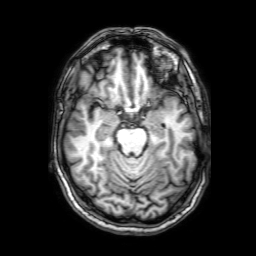
3 Tesla brain MRI.
Series: 3D T1-weighted with SENSE.
Study: ring-enhancing brain masses.